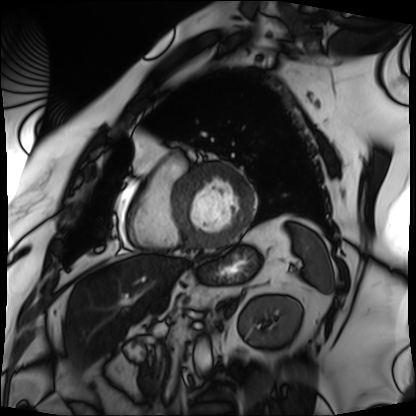
Q: What kind of scan is this?
A: Cardiac MRI.
Subject group: patient.